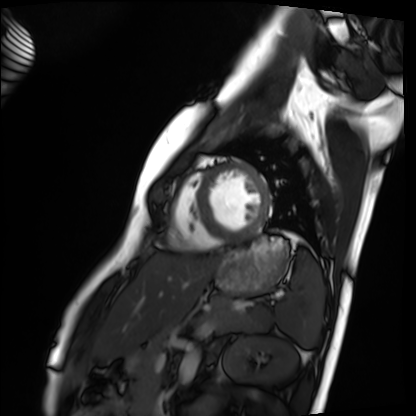
Cardiac MRI. Subject group: healthy volunteer.